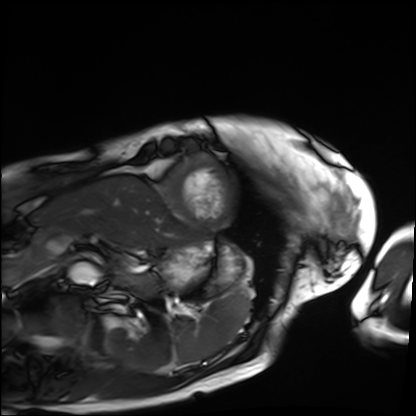
Cardiac MRI.
Subject group: patient.